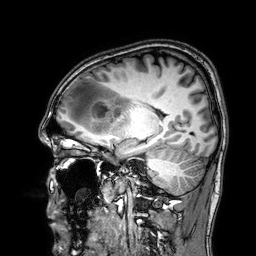
3 Tesla brain MRI.
Series: 3D T1-weighted.
Study: ring-enhancing brain masses.